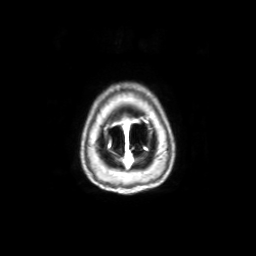
3 Tesla brain MRI. Series: axial with contrast. Study: ring-enhancing brain masses.